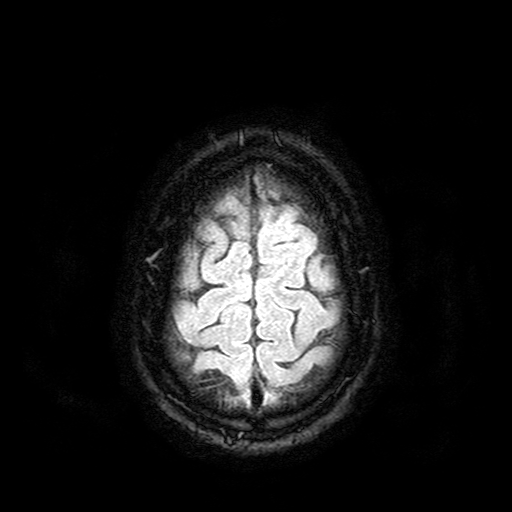
3 Tesla brain MRI. Series: FLAIR with SPAIR. Study: ring-enhancing brain masses.